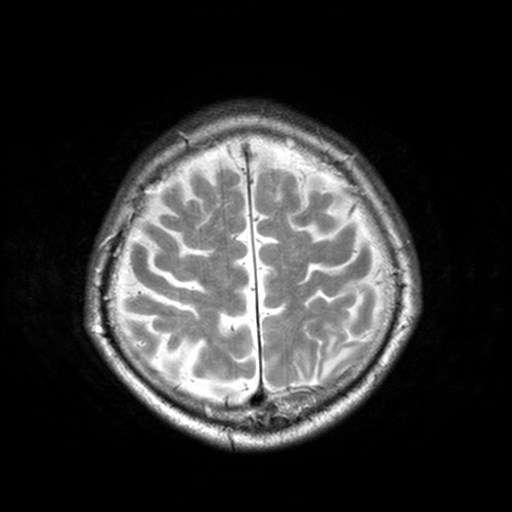
3 Tesla brain MRI. Series: T2-weighted turbo spin echo, 3 mm. Study: ring-enhancing brain masses.